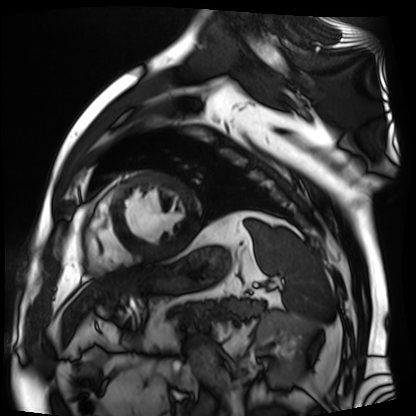
Summary:
Cardiac MR image of the myocardium. Subject cohort: cardiac patient.